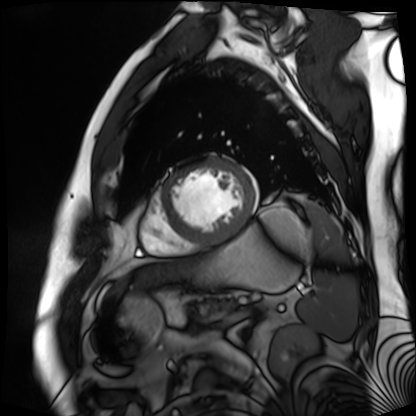
- modality: cardiac MR image of the myocardium
- subject cohort: cardiac patient